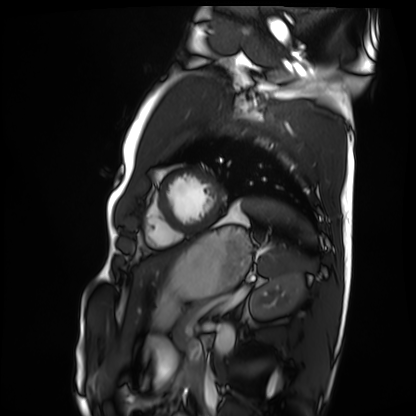
| field | value |
|---|---|
| modality | cardiac MRI |
| subject group | healthy volunteer |